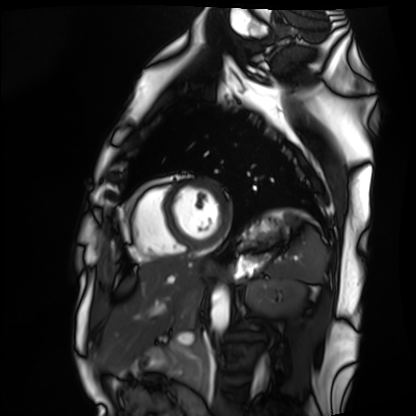
Cardiac MRI. Subject group: healthy volunteer.